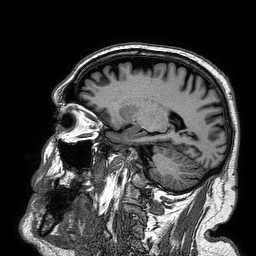
modality: 3 Tesla brain MRI | study: ring-enhancing brain masses.